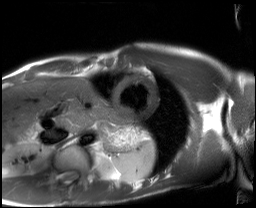
<study>
<modality>cardiac MRI</modality>
<cohort>healthy volunteer</cohort>
</study>